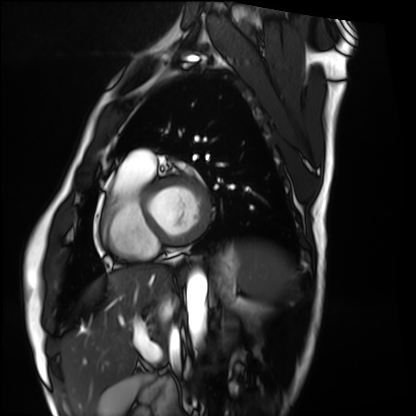
Cardiac MRI.
Subject group: healthy volunteer.